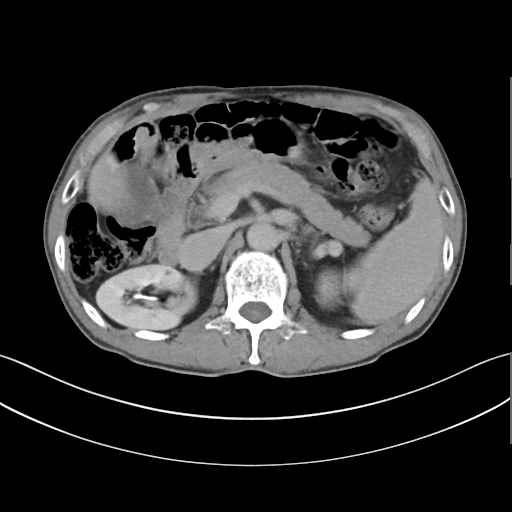
Multiphase abdominal CT, liver, delayed phase. Patient: male, age 62. History: cirrhosis, viral hepatitis, prior chemotherapy.